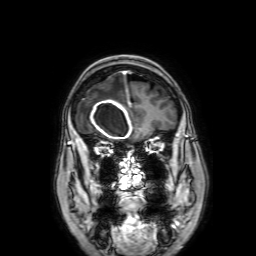
modality: 3 Tesla brain MRI | series: 3D T1-weighted with SENSE | study: ring-enhancing brain masses.